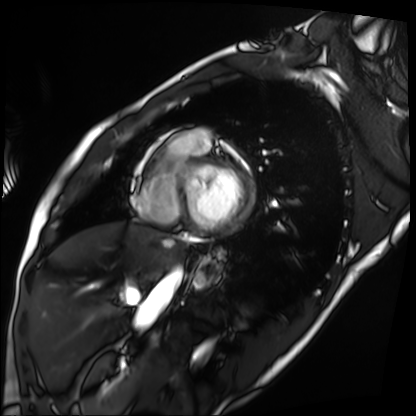
Case:
• modality · cardiac MRI
• subject group · patient